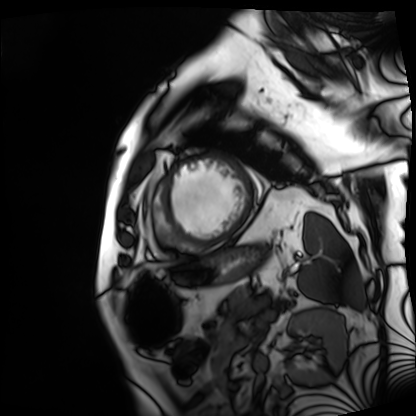
Summary:
Cardiac MRI. Subject group: patient.